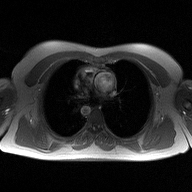
2D phase-contrast cine MRI of the ascending aorta, high-resolution GRAPPA acquisition.